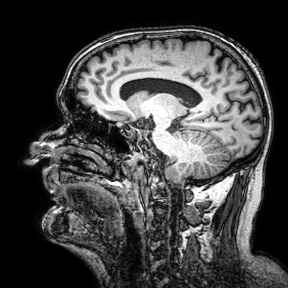
{"modality": {"type": "brain MRI", "field_strength": "3T"}, "series": "3D T1-weighted turbo field echo with SENSE", "study_topic": "ring-enhancing brain masses"}